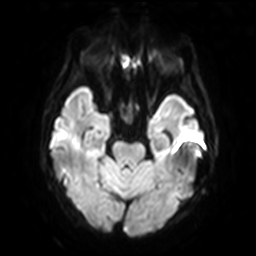
Clinical context: 3 Tesla brain MRI. Series: diffusion-weighted imaging with SENSE (WIP). Study: ring-enhancing brain masses.